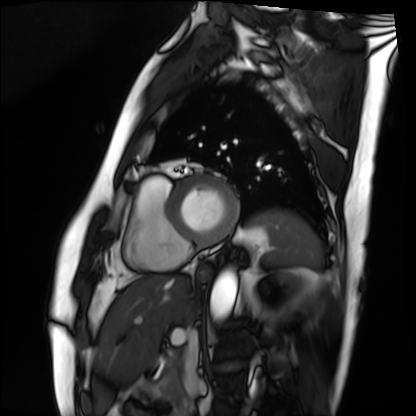
{"modality": "cardiac MRI", "cohort": "patient"}